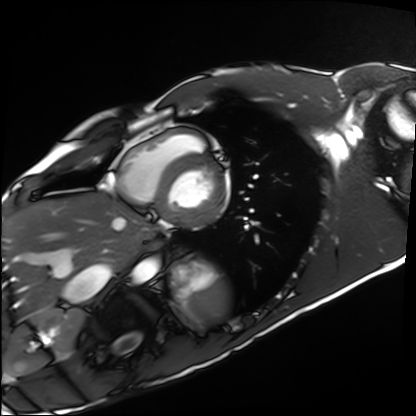
Case summary: Cardiac MRI. Subject group: healthy volunteer.